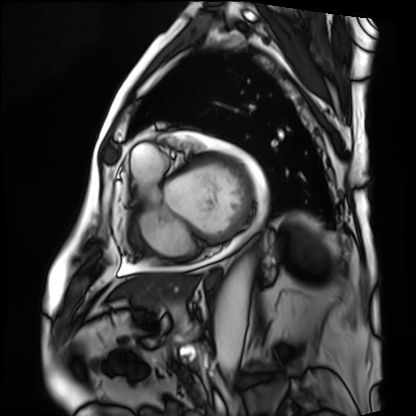
Cardiac MRI. Subject group: patient.